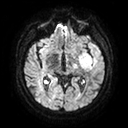
<study>
<modality>
  <type>brain MRI</type>
  <field_strength>3T</field_strength>
</modality>
<series>diffusion tensor imaging (medium iso)</series>
<study_topic>ring-enhancing brain masses</study_topic>
</study>